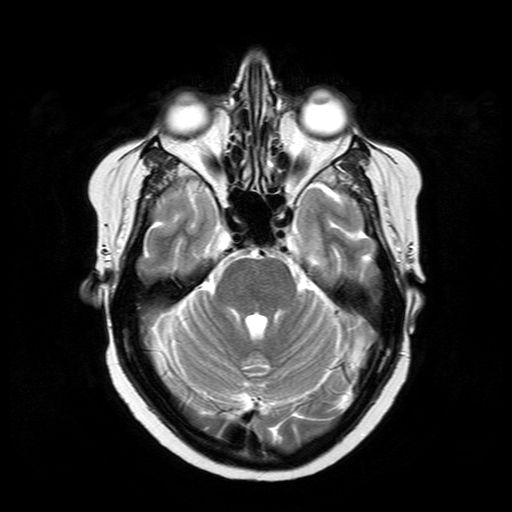
3 Tesla brain MRI. Series: T2-weighted turbo spin echo. Study: ring-enhancing brain masses.